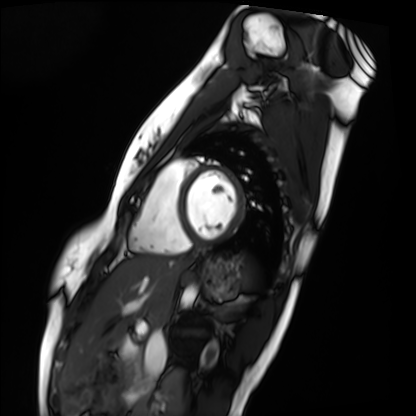
modality = cardiac MRI
subject group = healthy volunteer